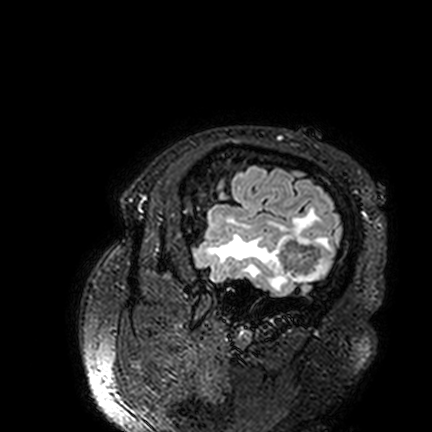
3 Tesla brain MRI. Series: FLAIR VISTA. Study: ring-enhancing brain masses.